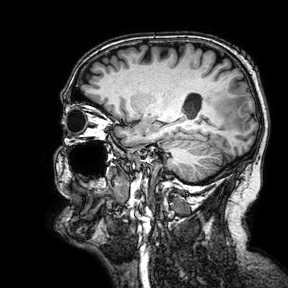
• modality: 3 Tesla brain MRI
• study: ring-enhancing brain masses